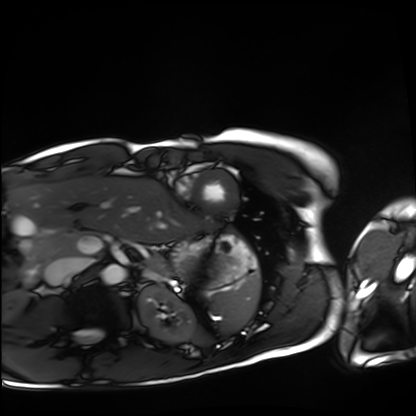
Cardiac MRI.
Subject group: healthy volunteer.